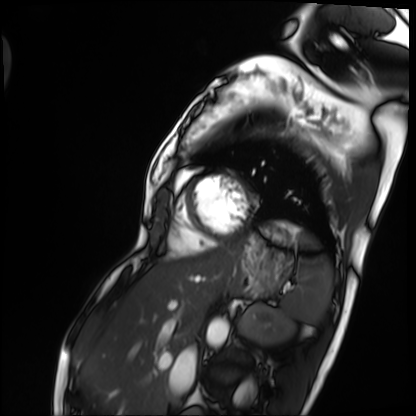
modality=cardiac MRI
subject group=patient